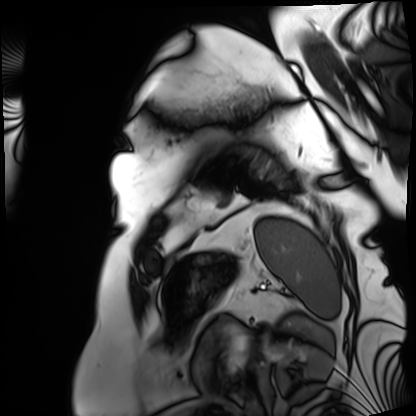
Case summary: Cardiac MRI. Subject group: patient.